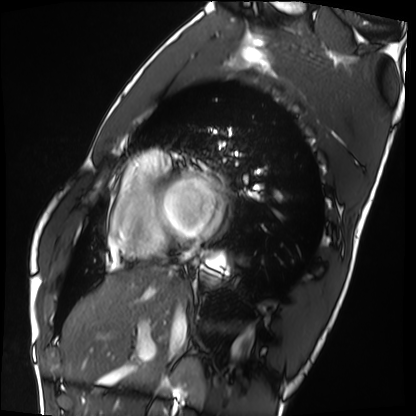
Clinical context: Cardiac MRI. Subject group: healthy volunteer.